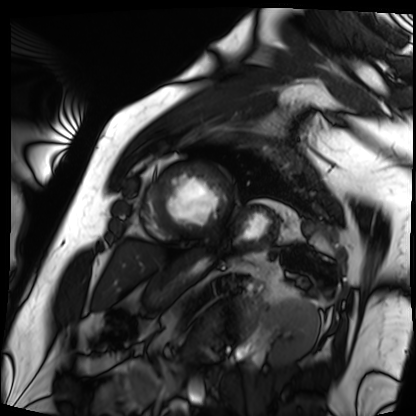
Q: What kind of scan is this?
A: Cardiac MRI.
Subject group: patient.